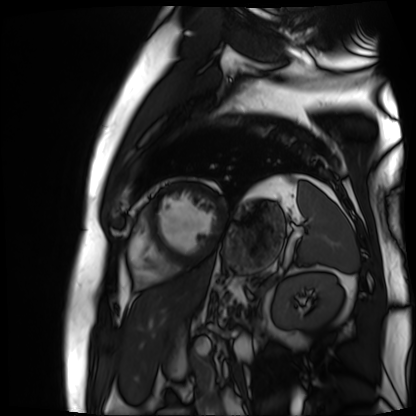
Case:
- modality — cardiac MR image of the myocardium
- subject cohort — cardiac patient